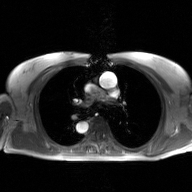
{"modality": {"type": "2D phase-contrast cine MRI", "region": "ascending aorta", "reconstruction": "GAN super-resolution reconstruction"}}